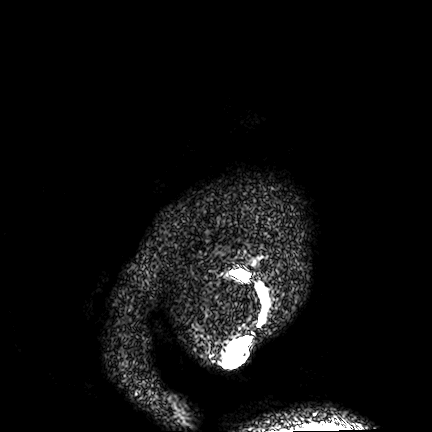
3 Tesla brain MRI.
Series: FLAIR VISTA.
Study: ring-enhancing brain masses.